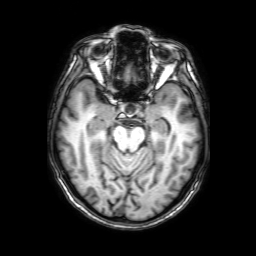
modality=3 Tesla brain MRI | series=3D T1-weighted with SENSE | study=ring-enhancing brain masses.